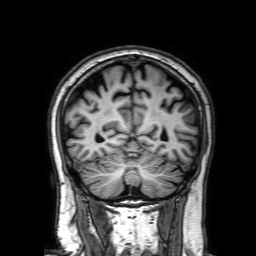
Clinical context: 3 Tesla brain MRI. Series: 3D T1-weighted with SENSE. Study: ring-enhancing brain masses.